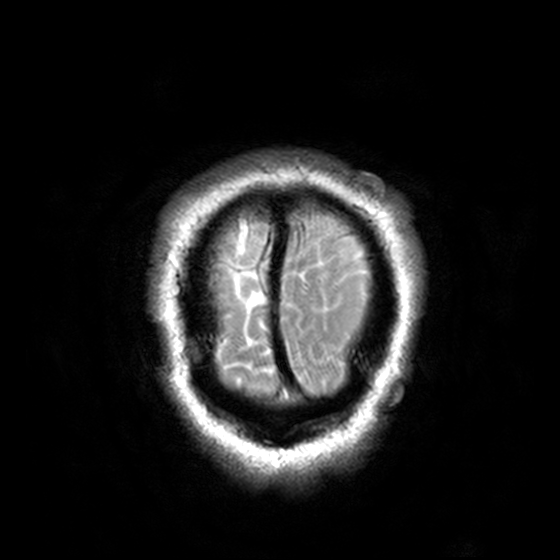
modality: 3 Tesla brain MRI | series: T2-weighted turbo spin echo, 3 mm | study: ring-enhancing brain masses.